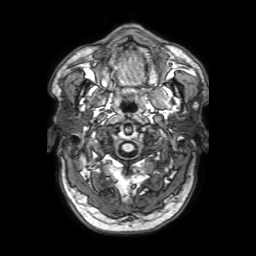
3 Tesla brain MRI. Series: 3D T1-weighted with SENSE. Study: ring-enhancing brain masses.